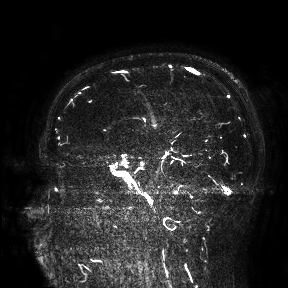
Clinical context: 3 Tesla brain MRI. Study: ring-enhancing brain masses.